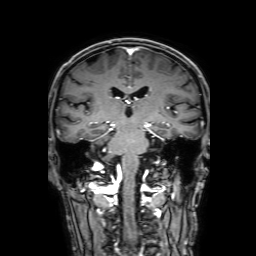
Clinical context: 3 Tesla brain MRI. Series: 3D T1-weighted with SENSE. Study: ring-enhancing brain masses.